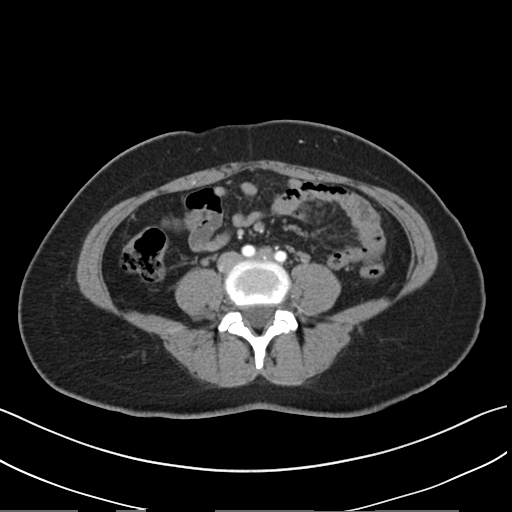
Clinical context:
Multiphase abdominal CT, liver, arterial phase. Patient: female, age 45.